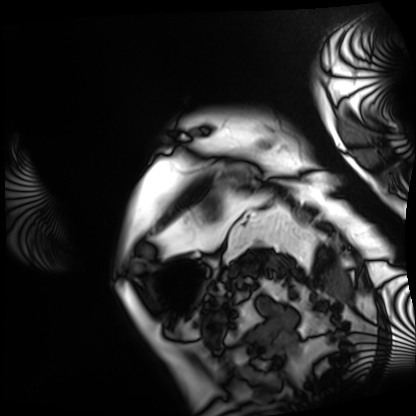
modality = cardiac MRI, subject group = patient.